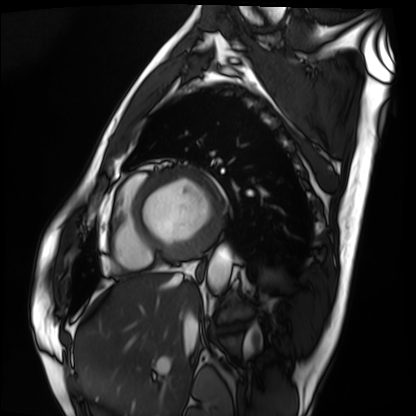
| field | value |
|---|---|
| modality | cardiac MRI |
| subject group | patient |